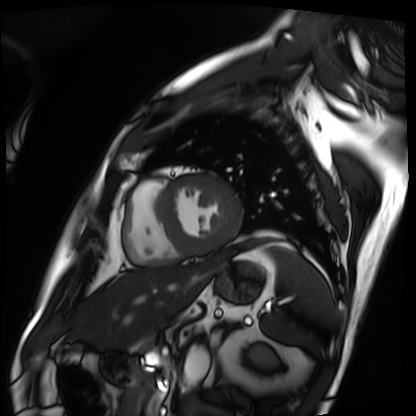
modality: cardiac MRI
subject group: patient